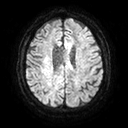
3 Tesla brain MRI. Series: diffusion tensor imaging (medium iso). Study: ring-enhancing brain masses.